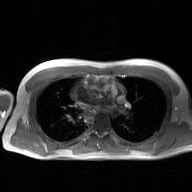
Summary:
2D phase-contrast cine MRI of the ascending aorta, GAN super-resolution reconstruction.